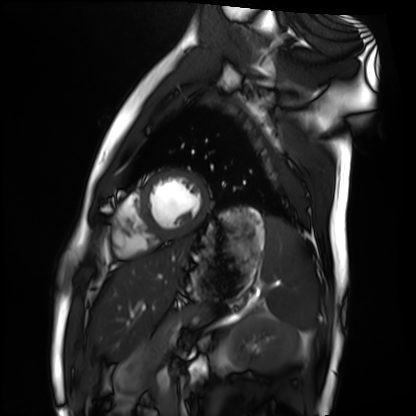
Q: What kind of scan is this?
A: Cardiac MRI.
Subject group: healthy volunteer.